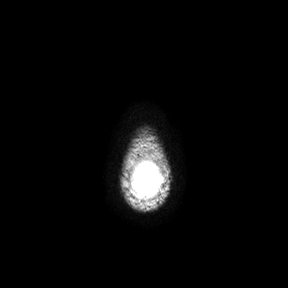
3 Tesla brain MRI.
Series: axial.
Study: ring-enhancing brain masses.